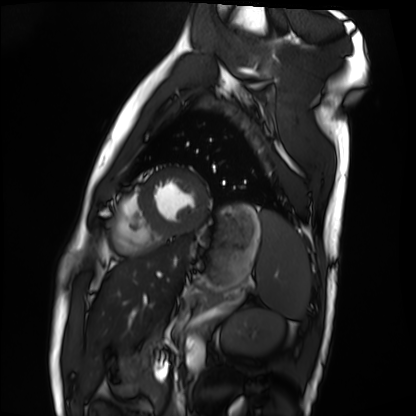
  modality: cardiac MRI
  cohort: healthy volunteer